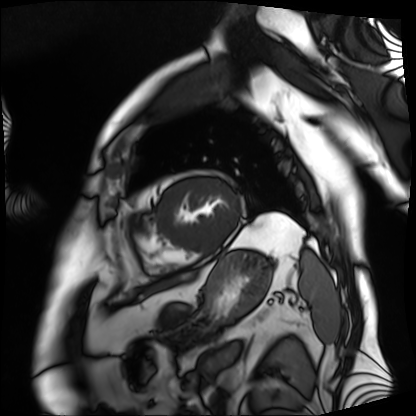
Cardiac MRI.
Subject group: patient.